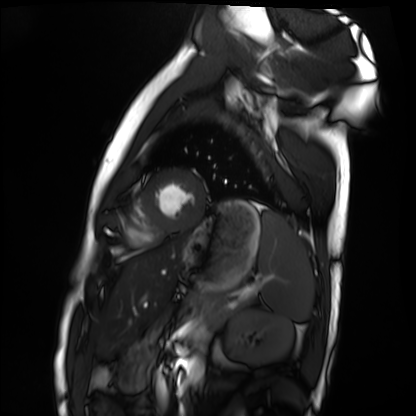
Q: What kind of scan is this?
A: Cardiac MRI.
Subject group: healthy volunteer.